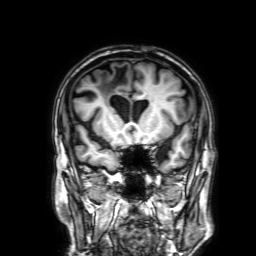
3 Tesla brain MRI.
Series: 3D T1-weighted with SENSE.
Study: ring-enhancing brain masses.